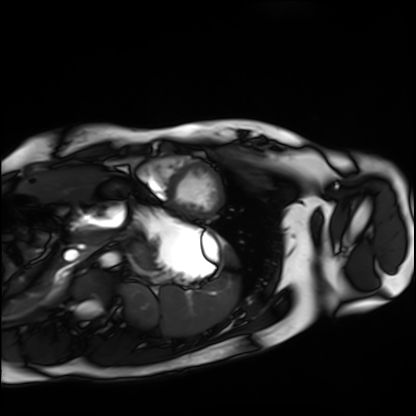
Case summary:
Cardiac MRI. Subject group: healthy volunteer.